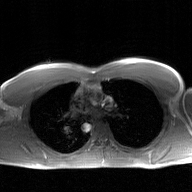
Summary:
2D phase-contrast cine MRI of the ascending aorta, GAN super-resolution reconstruction.